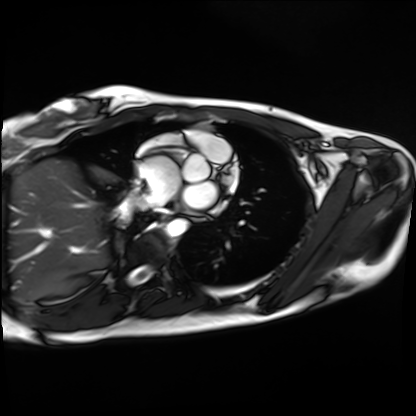
Case:
– modality: cardiac MRI
– subject group: healthy volunteer